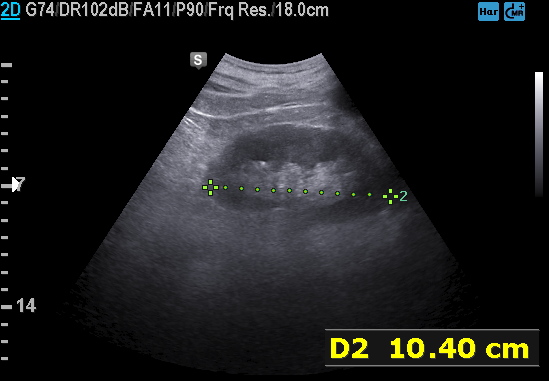
modality:
  type: genitourinary ultrasound